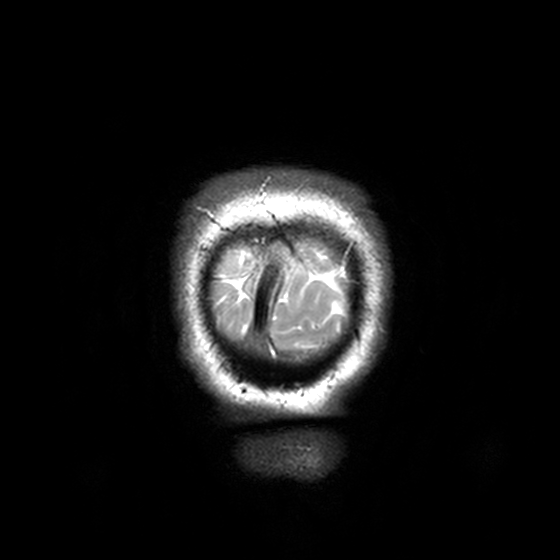
3 Tesla brain MRI.
Series: T2-weighted turbo spin echo, 3 mm.
Study: ring-enhancing brain masses.